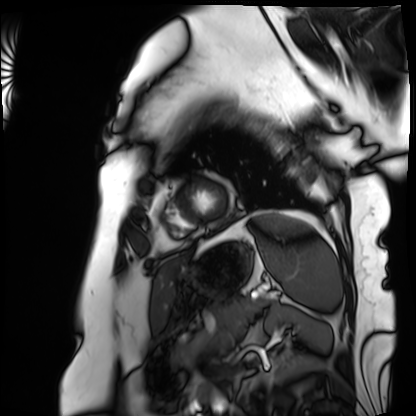
Cardiac MRI. Subject group: patient.